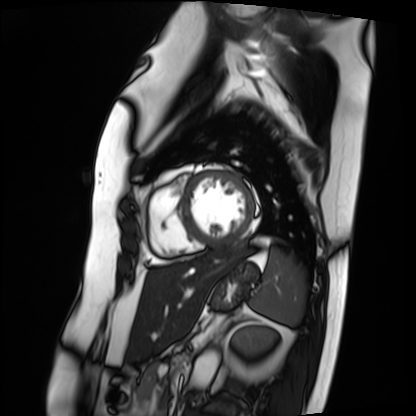
| field | value |
|---|---|
| modality | cardiac MRI |
| subject group | patient |